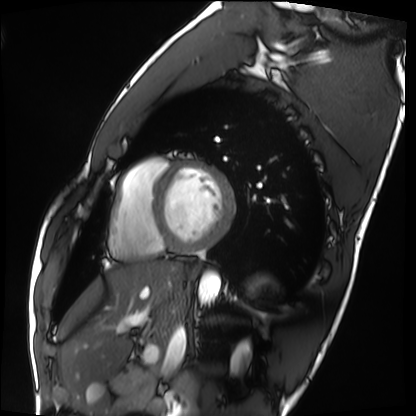
modality — cardiac MRI
subject group — healthy volunteer